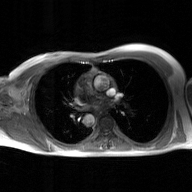
{"modality": {"type": "2D phase-contrast cine MRI", "region": "ascending aorta", "reconstruction": "GAN super-resolution reconstruction"}}